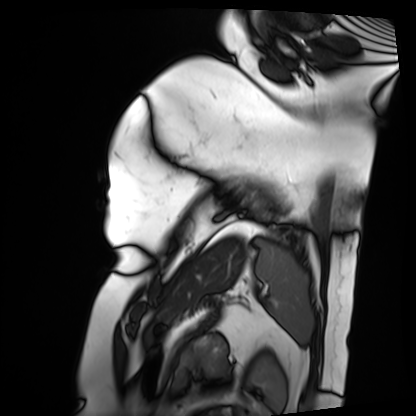
Q: What kind of scan is this?
A: Cardiac MRI.
Subject group: patient.